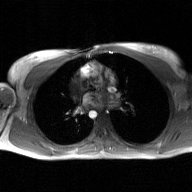
2D phase-contrast cine MRI of the ascending aorta, GAN super-resolution reconstruction.